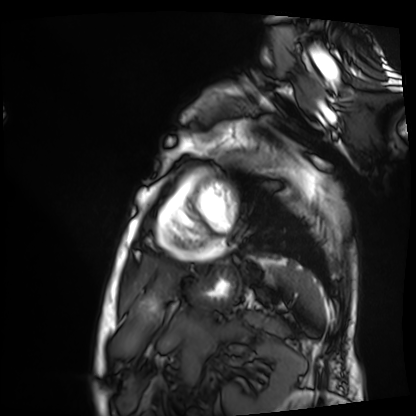
Clinical context:
Cardiac MRI. Subject group: patient.